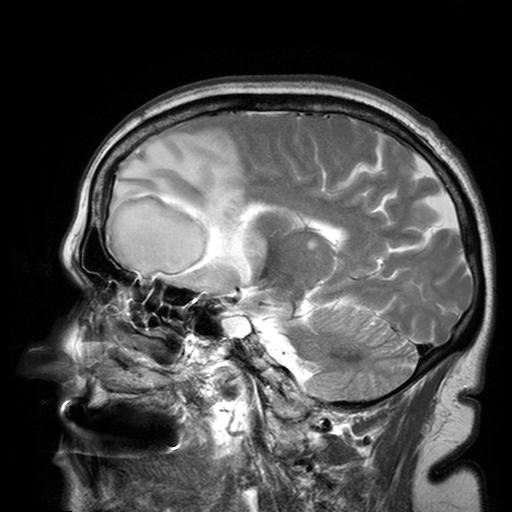
{"modality": {"type": "brain MRI", "field_strength": "3T"}, "series": "T2-weighted turbo spin echo with SENSE", "study_topic": "ring-enhancing brain masses"}